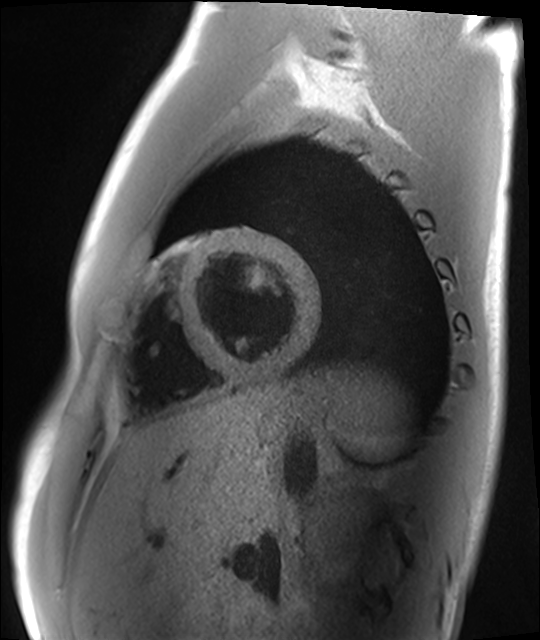
Cardiac MRI.
Subject group: healthy volunteer.